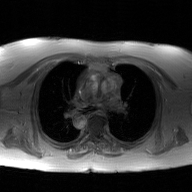
2D phase-contrast cine MRI of the ascending aorta, GAN super-resolution reconstruction.